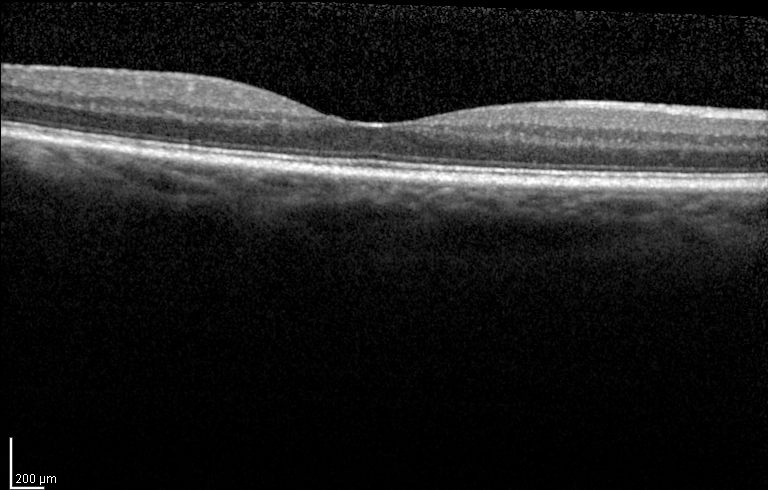
Case summary: Spectral-domain optical coherence tomography (SD-OCT) of the macula. Subject: female, age 67, right eye. Cohort: diabetic subject. ETDRS-grid retinal thickness (μm): central 249, inner temporal 322, inner nasal 323, inner superior 333, inner inferior 324, outer temporal 286, outer nasal 301, outer superior 294, outer inferior 275.